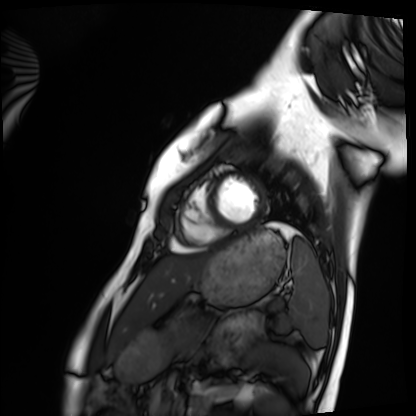
modality: cardiac MRI
subject group: healthy volunteer